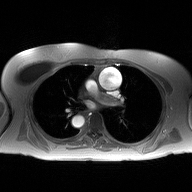
{"modality": {"type": "2D phase-contrast cine MRI", "region": "ascending aorta", "reconstruction": "high-resolution GRAPPA acquisition"}}